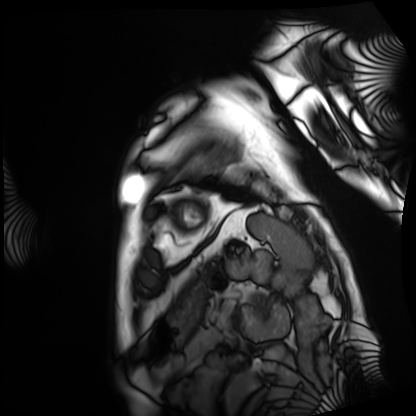
Cardiac MRI.
Subject group: patient.